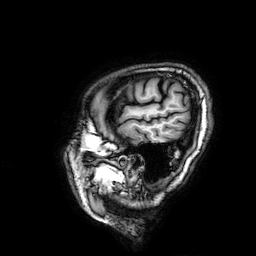
modality = 3 Tesla brain MRI | series = 3D T1-weighted | study = ring-enhancing brain masses.